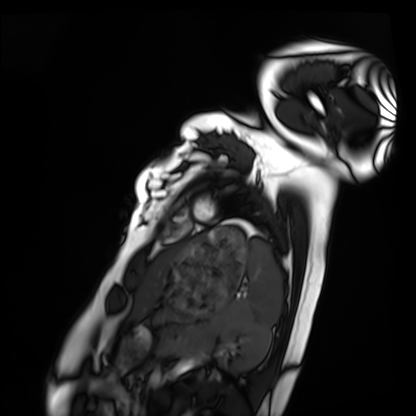
modality: cardiac MRI | subject group: healthy volunteer.